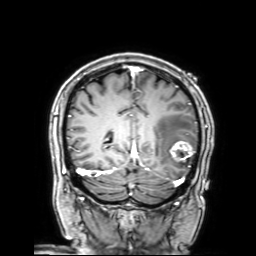
3 Tesla brain MRI. Series: 3D T1-weighted with SENSE. Study: ring-enhancing brain masses.